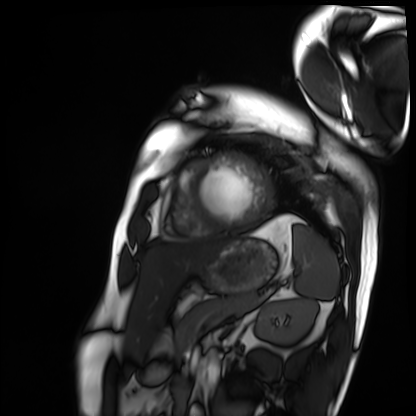
<scan>
  <modality>cardiac MRI</modality>
  <cohort>patient</cohort>
</scan>